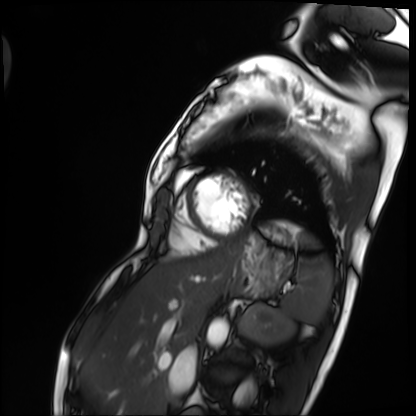
Cardiac MRI. Subject group: patient.